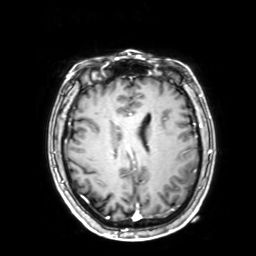
3 Tesla brain MRI.
Series: 3D T1-weighted with SENSE.
Study: ring-enhancing brain masses.